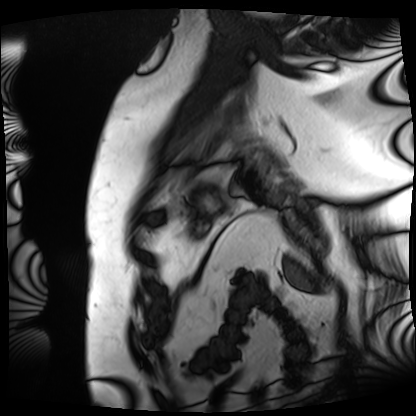
Summary: Cardiac MRI. Subject group: patient.